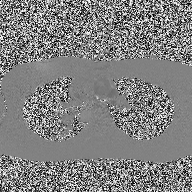
Case summary:
2D phase-contrast cine MRI of the ascending aorta, high-resolution GRAPPA acquisition.